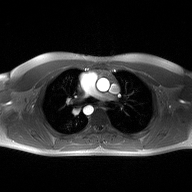
Clinical context:
2D phase-contrast cine MRI of the ascending aorta, high-resolution GRAPPA acquisition.